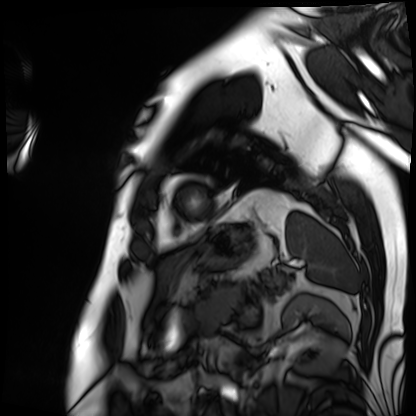
Cardiac MRI.
Subject group: patient.